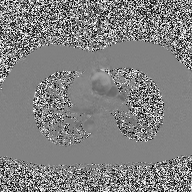
Case:
- modality · 2D phase-contrast cine MRI of the ascending aorta